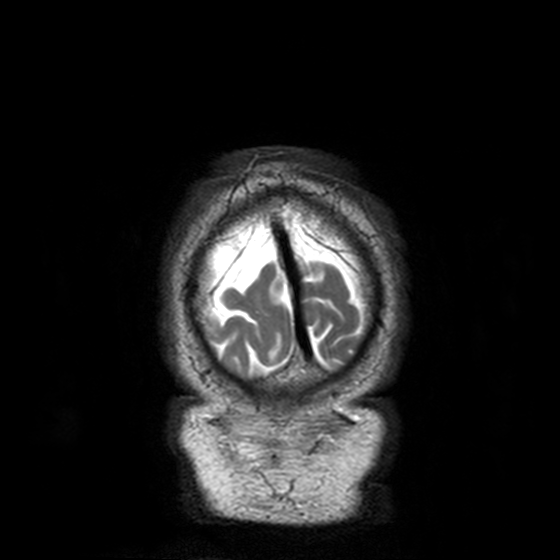
Summary:
3 Tesla brain MRI. Series: T2-weighted turbo spin echo, 3 mm. Study: ring-enhancing brain masses.